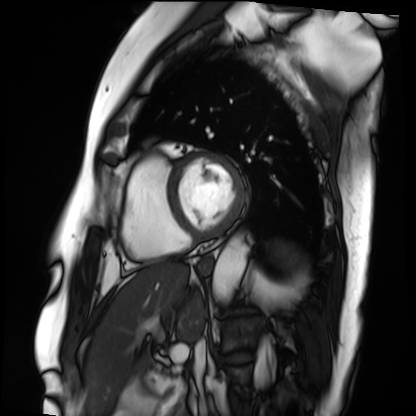
Case summary:
Cardiac MRI. Subject group: patient.